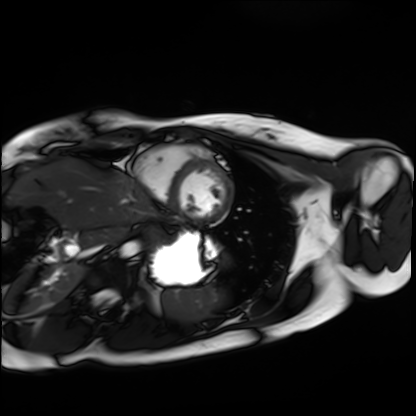
Case summary:
Cardiac MRI. Subject group: healthy volunteer.